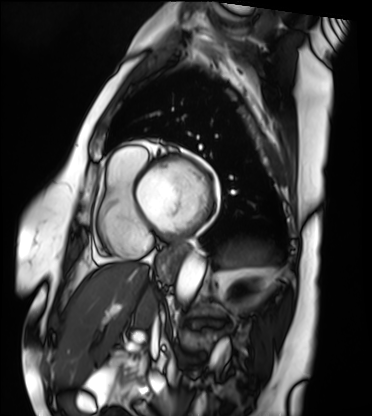
Cardiac MRI. Subject group: patient.